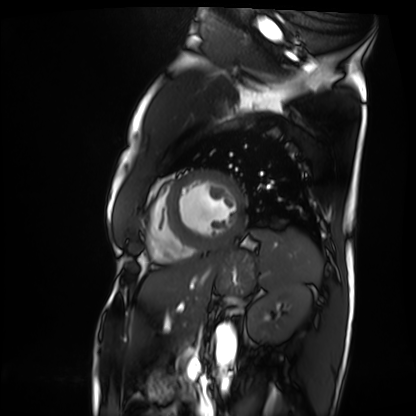
modality = cardiac MRI; subject group = patient.